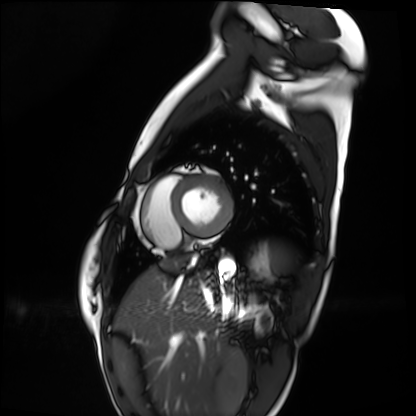
Case:
* modality · cardiac MRI
* subject group · healthy volunteer